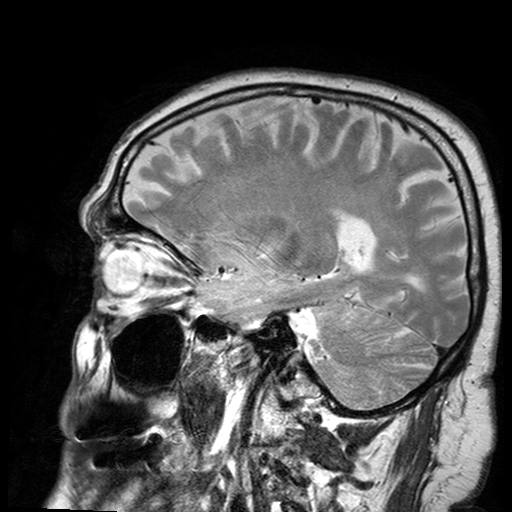
{"modality": {"type": "brain MRI", "field_strength": "3T"}, "study_topic": "ring-enhancing brain masses"}